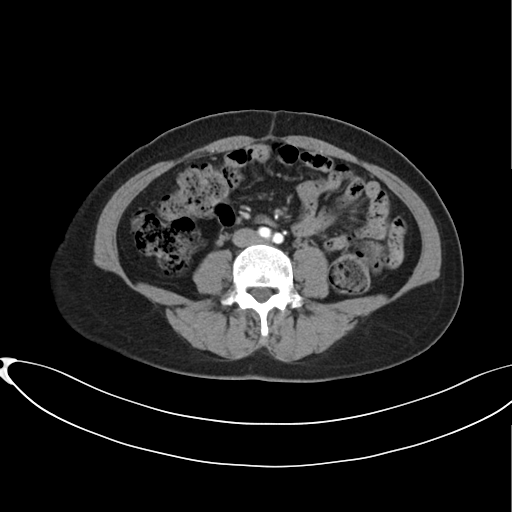
Q: What kind of scan is this?
A: Multiphase abdominal CT, liver, arterial phase.
Q: Patient?
A: Female, age 38.